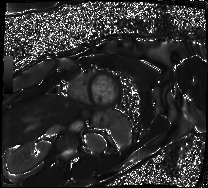
Cardiac MRI.
Subject group: patient.